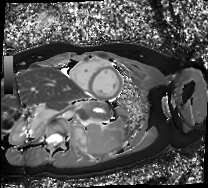
Cardiac MR image of the myocardium.
Subject cohort: healthy volunteer.